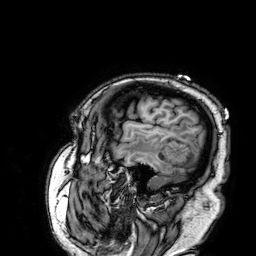
3 Tesla brain MRI. Series: 3D T1-weighted. Study: ring-enhancing brain masses.